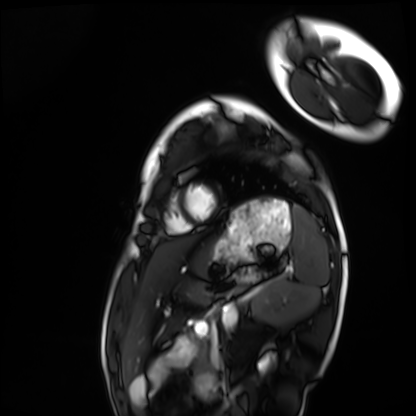
Cardiac MRI. Subject group: healthy volunteer.